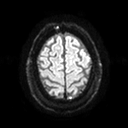
3 Tesla brain MRI. Series: diffusion tensor imaging (medium iso). Study: ring-enhancing brain masses.